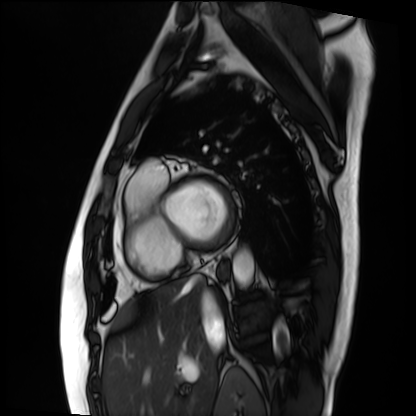
Summary:
Cardiac MRI. Subject group: patient.